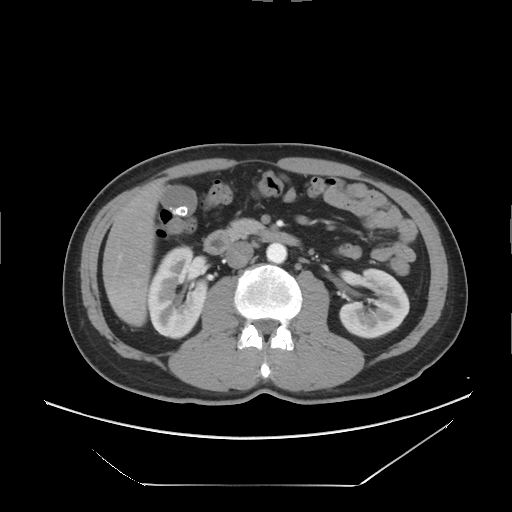
Summary: Multiphase abdominal CT, liver, arterial phase. Patient: male, age 50. History: viral hepatitis.